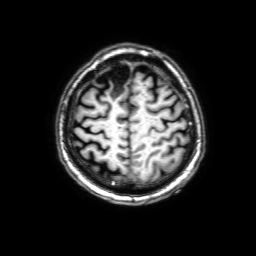
| field | value |
|---|---|
| modality | 3 Tesla brain MRI |
| series | 3D T1-weighted with SENSE |
| study | ring-enhancing brain masses |